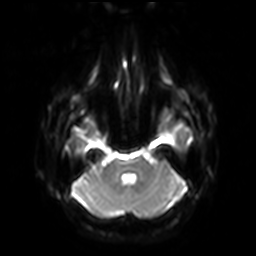
Case summary: 3 Tesla brain MRI. Series: diffusion-weighted imaging with SENSE (WIP). Study: ring-enhancing brain masses.